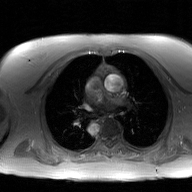
Summary: 2D phase-contrast cine MRI of the ascending aorta, GAN super-resolution reconstruction.